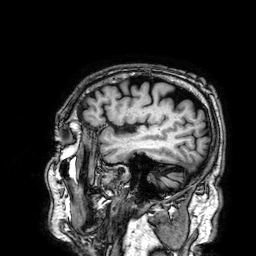
modality:
  type: brain MRI
  field_strength: 3T
series: 3D T1-weighted
study_topic: ring-enhancing brain masses